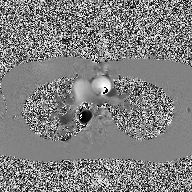
modality = 2D phase-contrast cine MRI of the ascending aorta.